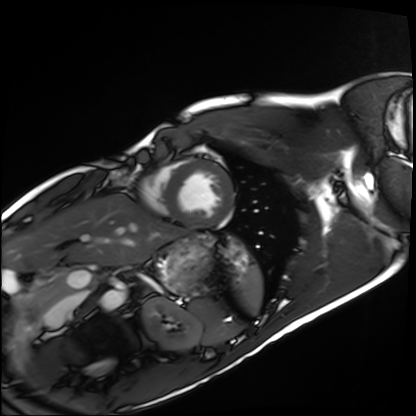
modality: cardiac MRI
cohort: healthy volunteer